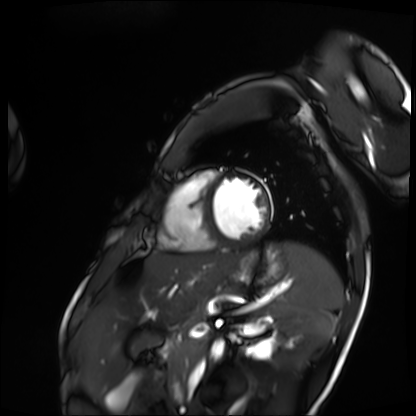
Summary: Cardiac MRI. Subject group: patient.